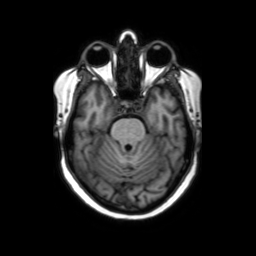
3 Tesla brain MRI. Series: axial without contrast. Study: ring-enhancing brain masses.